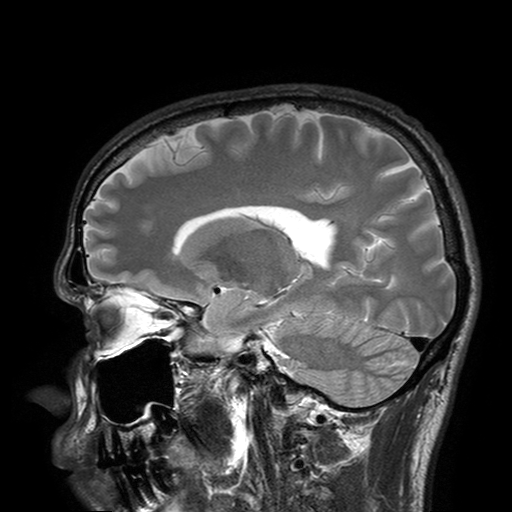
3 Tesla brain MRI. Series: T2-weighted turbo spin echo with SENSE. Study: ring-enhancing brain masses.